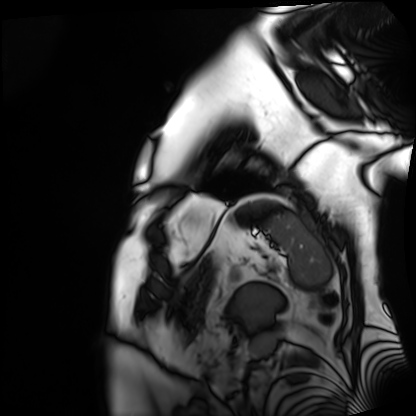
Cardiac MRI. Subject group: patient.